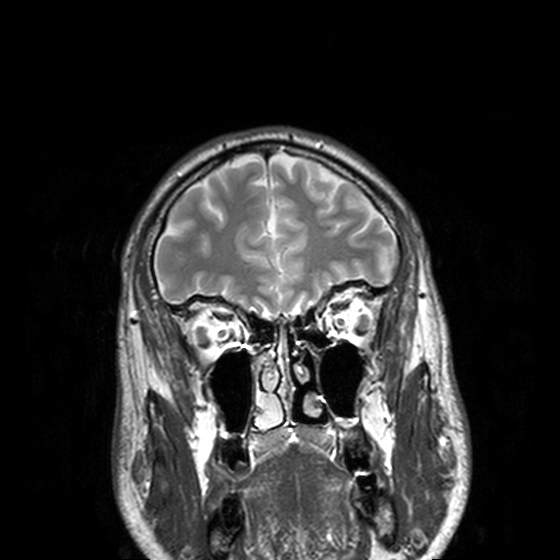
Case summary: 3 Tesla brain MRI. Study: ring-enhancing brain masses.